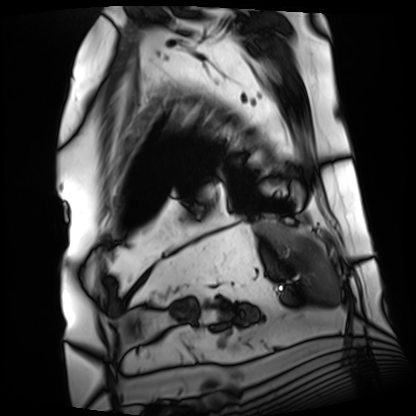
modality = cardiac MRI
subject group = patient